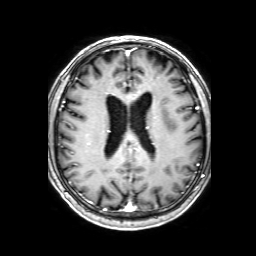
modality=3 Tesla brain MRI
series=3D T1-weighted with SENSE
study=ring-enhancing brain masses